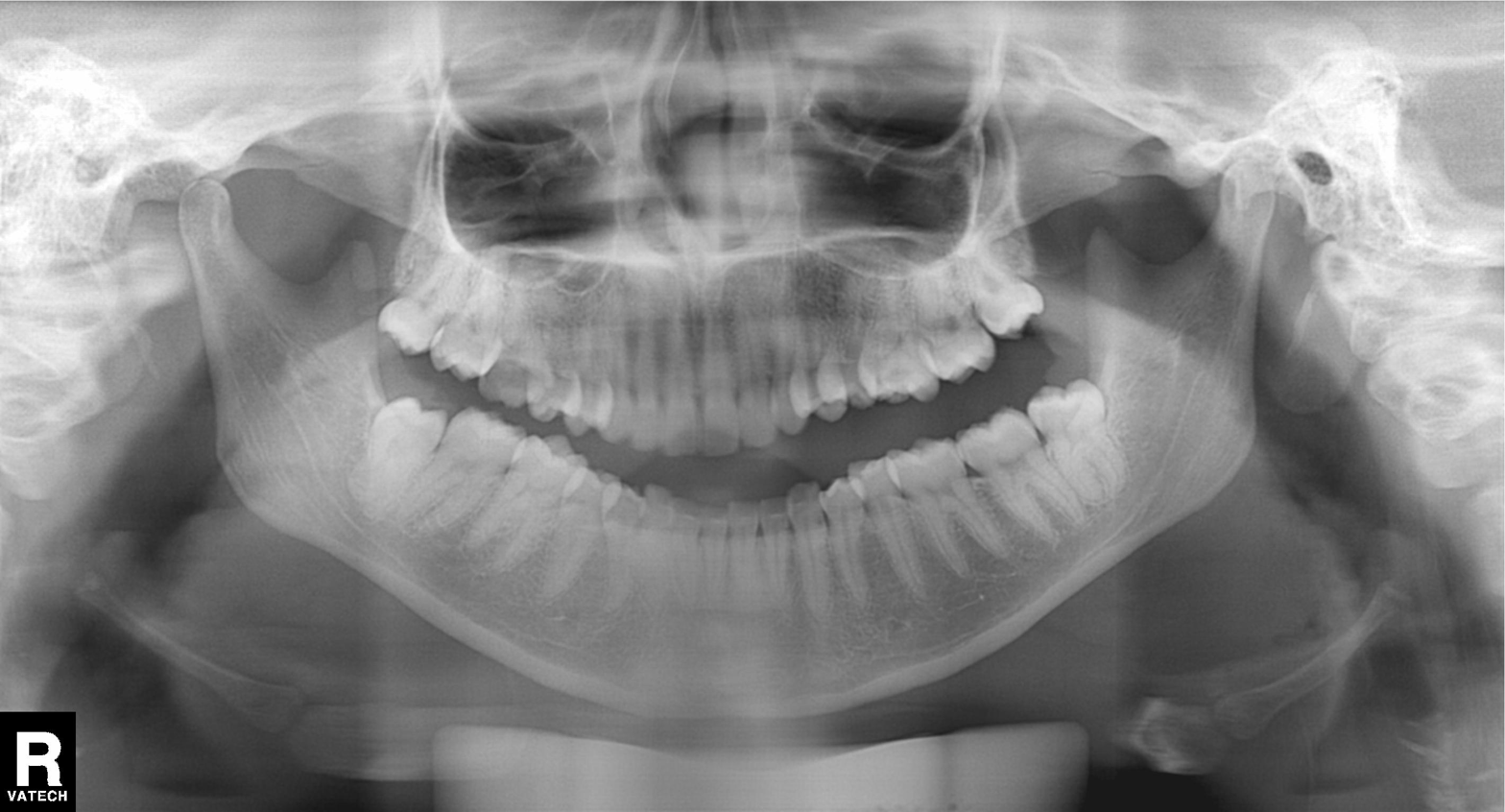
Q: What kind of scan is this?
A: Panoramic dental radiograph (orthopantomogram).
Q: What is the radiographic finding?
A: Alveolar bone loss.